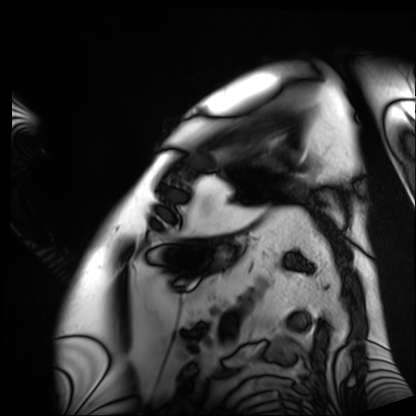
Summary: Cardiac MRI. Subject group: patient.